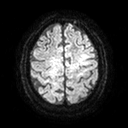
{
  "modality": {
    "type": "brain MRI",
    "field_strength": "3T"
  },
  "series": "diffusion tensor imaging (medium iso)",
  "study_topic": "ring-enhancing brain masses"
}